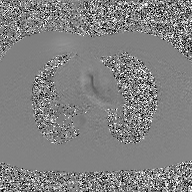
Q: What kind of scan is this?
A: 2D phase-contrast cine MRI of the ascending aorta, GAN super-resolution reconstruction.